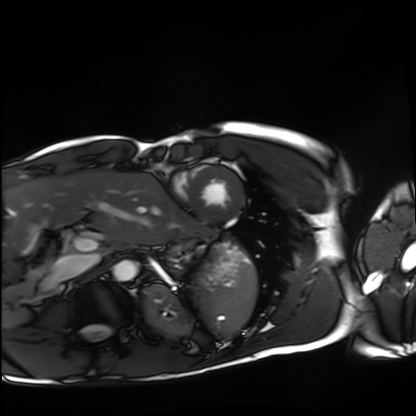
Cardiac MRI. Subject group: healthy volunteer.